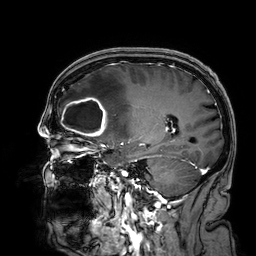
- modality · 3 Tesla brain MRI
- series · 3D T1-weighted
- study · ring-enhancing brain masses